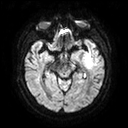
3 Tesla brain MRI.
Series: diffusion tensor imaging (medium iso).
Study: ring-enhancing brain masses.